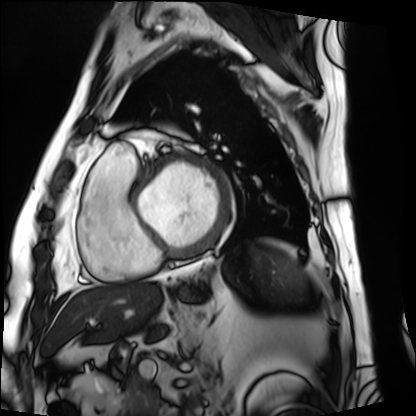
modality — cardiac MRI | subject group — patient.